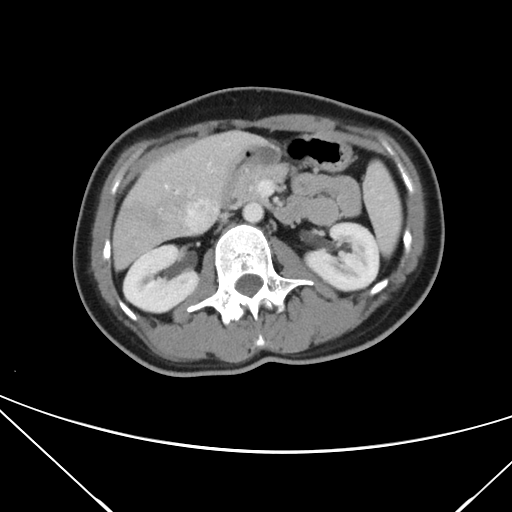
  modality:
    type: multiphase abdominal CT
    region: liver
    phase: portal venous
  patient:
    sex: female
    age: 39